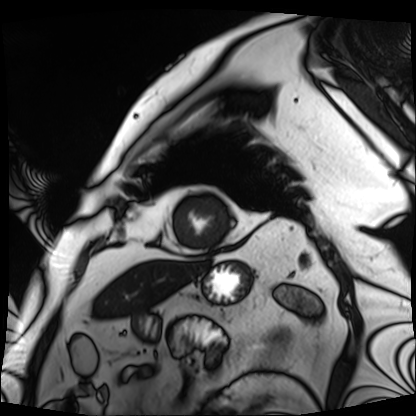
Q: What kind of scan is this?
A: Cardiac MRI.
Subject group: patient.